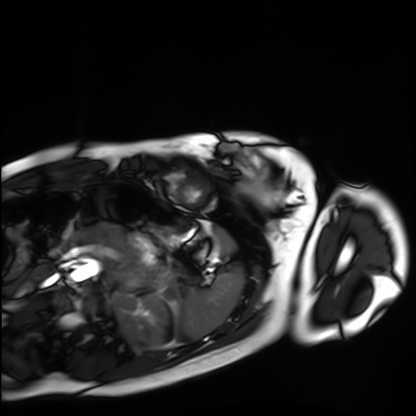
Case summary: Cardiac MRI. Subject group: healthy volunteer.